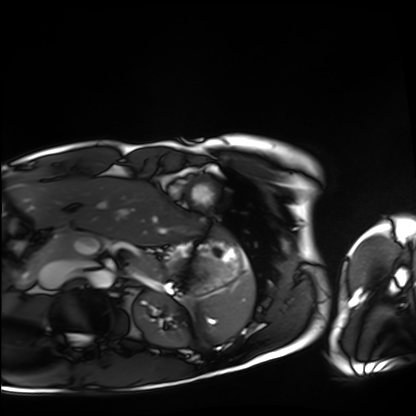
Cardiac MRI.
Subject group: healthy volunteer.